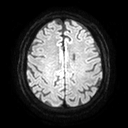
  modality:
    type: brain MRI
    field_strength: 3T
  series: diffusion tensor imaging (medium iso)
  study_topic: ring-enhancing brain masses